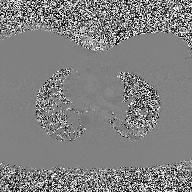
modality: 2D phase-contrast cine MRI of the ascending aorta